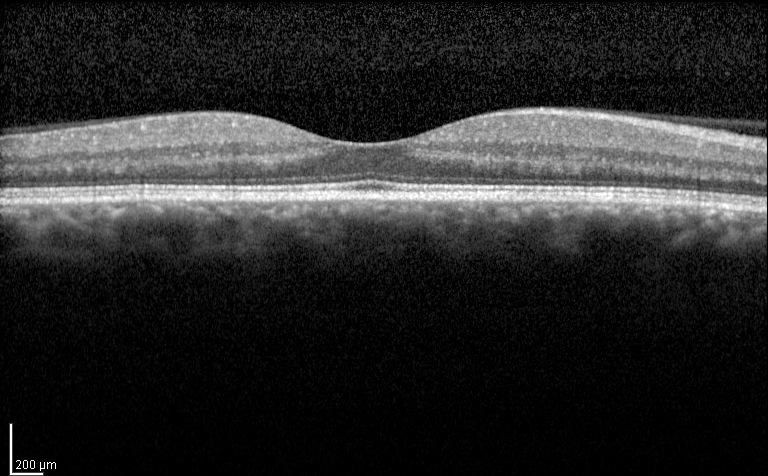
modality: spectral-domain optical coherence tomography (SD-OCT) of the macula
subject: male, age 54, right eye
cohort: diabetic subject